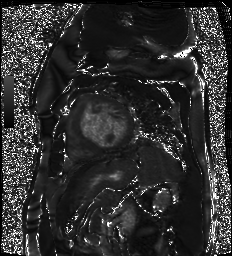
Cardiac MR image of the myocardium.
Subject cohort: cardiac patient.